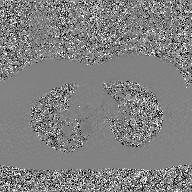
2D phase-contrast cine MRI of the ascending aorta, GAN super-resolution reconstruction.